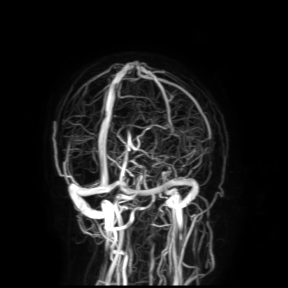
Summary: 3 Tesla brain MRI. Study: ring-enhancing brain masses.